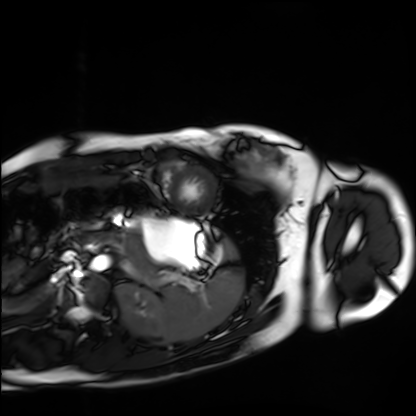
Summary: Cardiac MRI. Subject group: healthy volunteer.